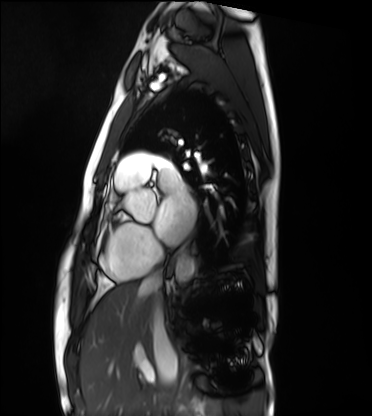
Cardiac MRI.
Subject group: healthy volunteer.